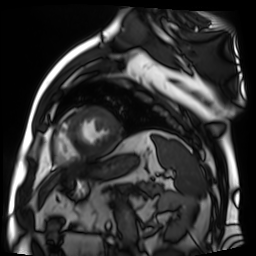
modality = cardiac MR image of the myocardium, subject cohort = cardiac patient.